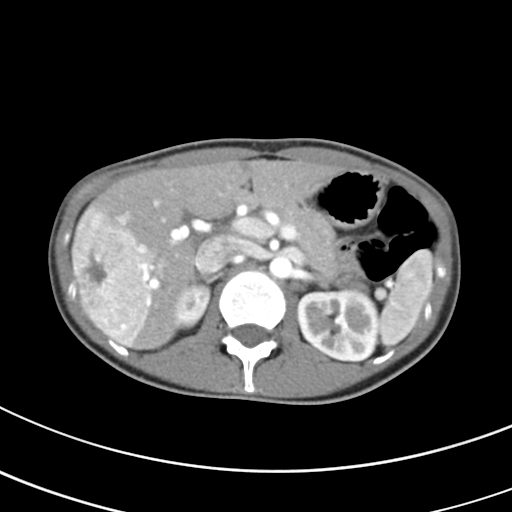
Case:
• modality — multiphase abdominal CT, liver, arterial phase
• patient — female, age 27